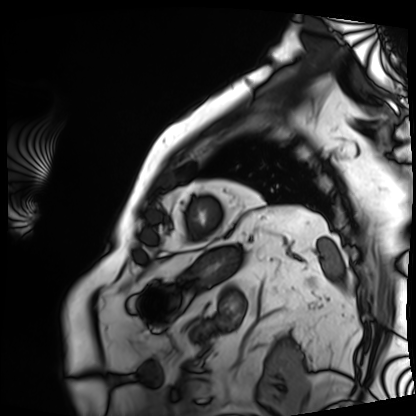
Q: What kind of scan is this?
A: Cardiac MRI.
Subject group: patient.